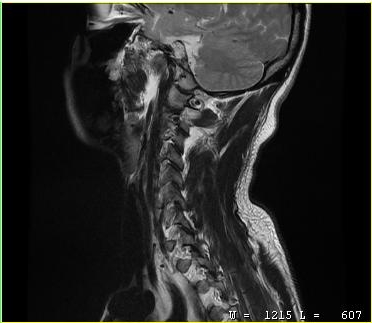
modality = MRI of the cervical spine
study = cervical spondylosis